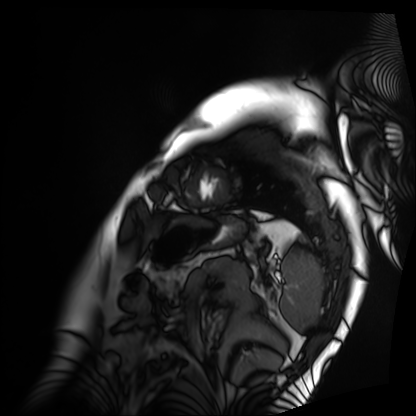
Q: What kind of scan is this?
A: Cardiac MRI.
Subject group: patient.